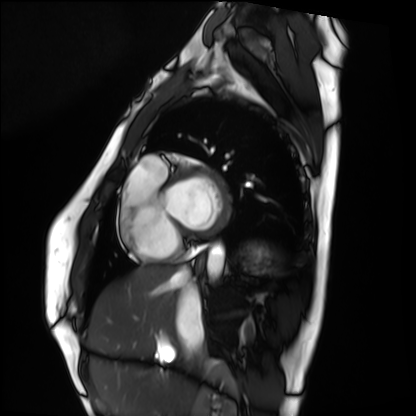
modality=cardiac MRI; subject group=healthy volunteer.